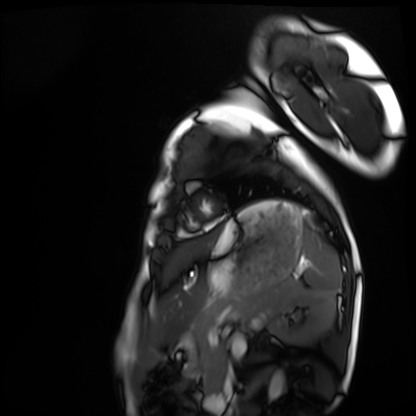
Cardiac MRI. Subject group: healthy volunteer.